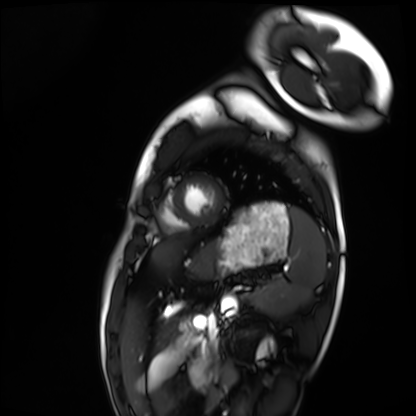
modality = cardiac MRI, subject group = healthy volunteer.